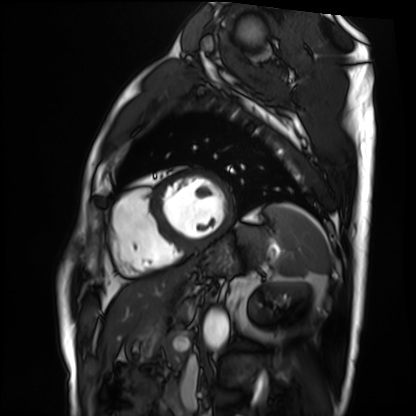
| field | value |
|---|---|
| modality | cardiac MRI |
| subject group | patient |